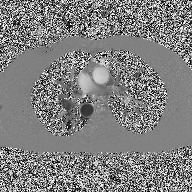
{"modality": {"type": "2D phase-contrast cine MRI", "region": "ascending aorta", "reconstruction": "high-resolution GRAPPA acquisition"}}